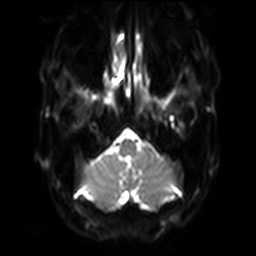
modality=3 Tesla brain MRI | series=diffusion-weighted imaging with SENSE (WIP) | study=ring-enhancing brain masses.